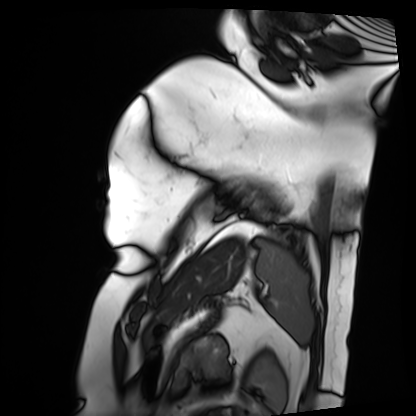
modality: cardiac MRI | subject group: patient.